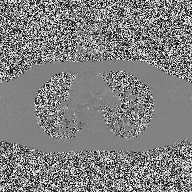
* modality · 2D phase-contrast cine MRI of the ascending aorta